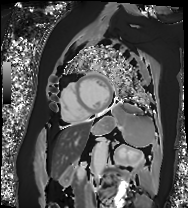
Summary: Cardiac MRI. Subject group: patient.